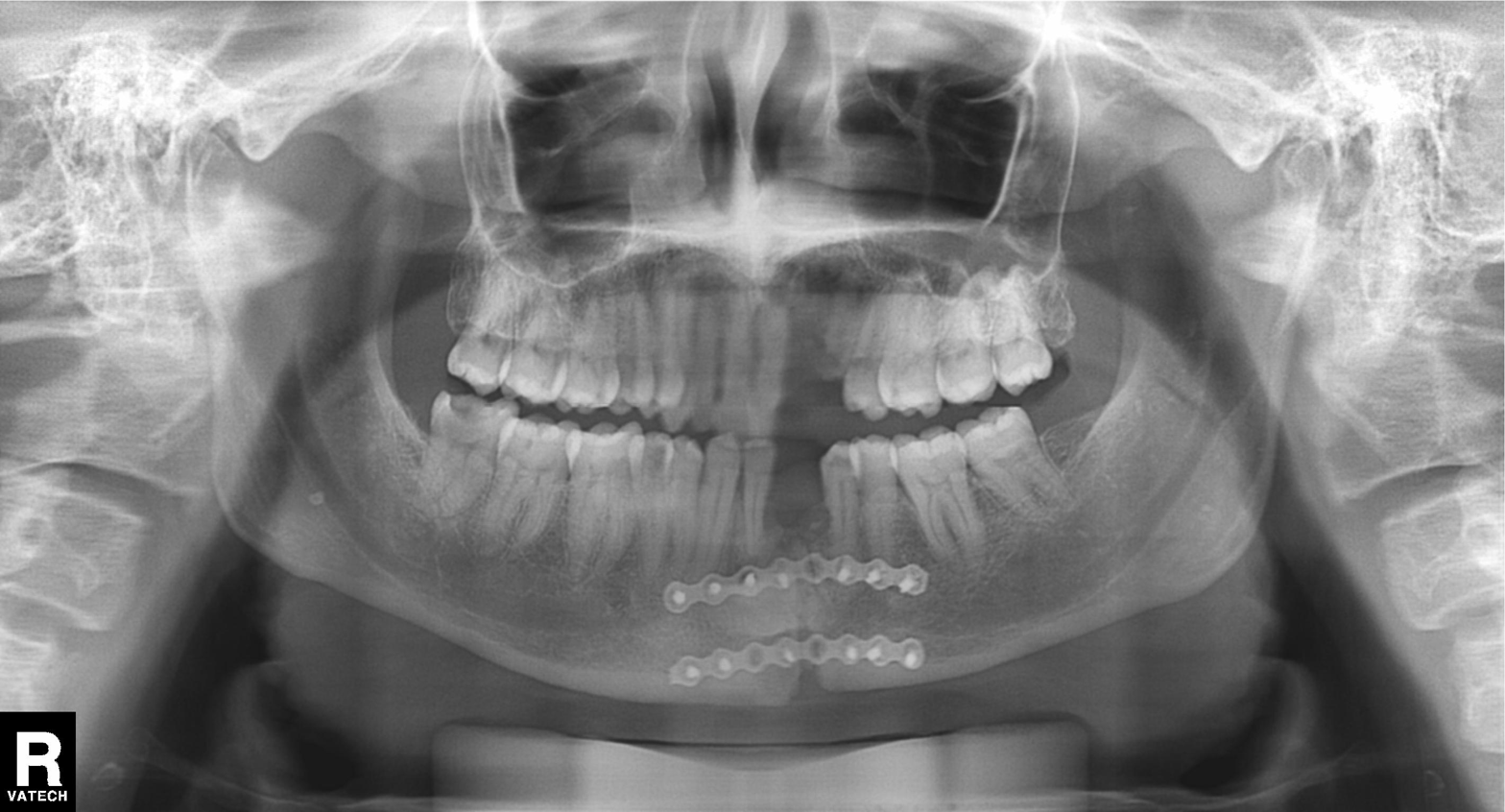
Panoramic dental radiograph (orthopantomogram). Finding: tooth impaction.